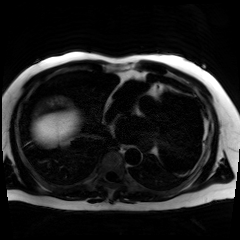
* modality: chemical-shift-encoded cardiac MRI